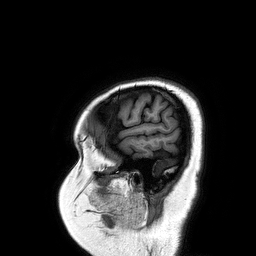
| field | value |
|---|---|
| modality | 3 Tesla brain MRI |
| series | 3D T1-weighted turbo field echo |
| study | ring-enhancing brain masses |